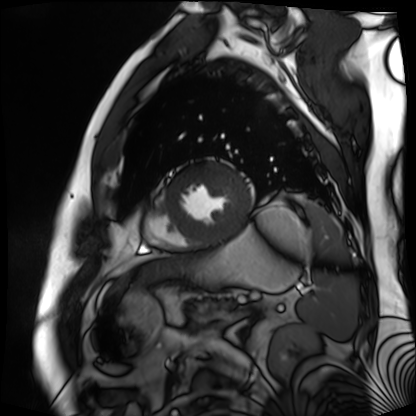
modality = cardiac MR image of the myocardium | subject cohort = cardiac patient.